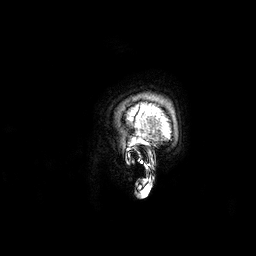
Summary:
3 Tesla brain MRI. Series: 3D T1-weighted. Study: ring-enhancing brain masses.